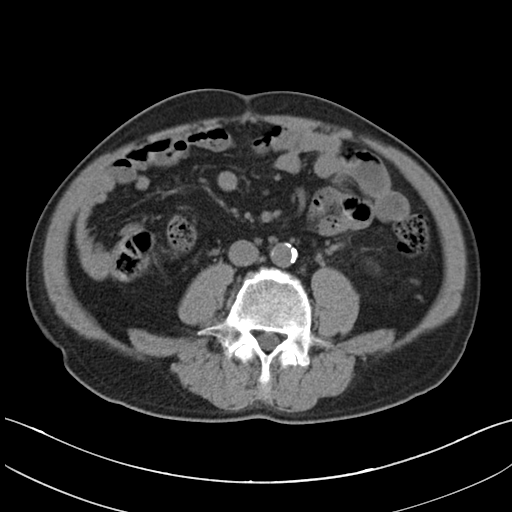
modality=multiphase abdominal CT, liver, non-contrast phase
patient=male, age 58